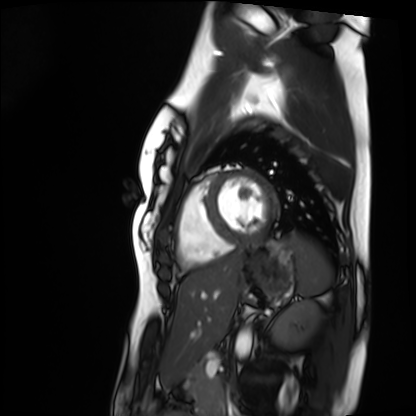
{
  "modality": "cardiac MRI",
  "cohort": "healthy volunteer"
}